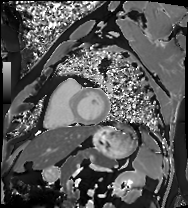
Case:
* modality — cardiac MRI
* subject group — patient